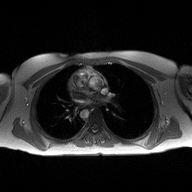
Q: What kind of scan is this?
A: 2D phase-contrast cine MRI of the ascending aorta.